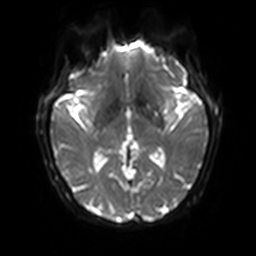
• modality: 3 Tesla brain MRI
• study: ring-enhancing brain masses